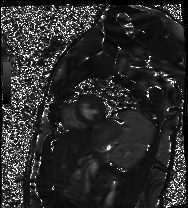
Cardiac MR image of the myocardium. Subject cohort: healthy volunteer.